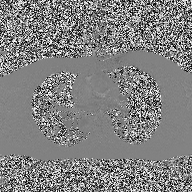
2D phase-contrast cine MRI of the ascending aorta, high-resolution GRAPPA acquisition.